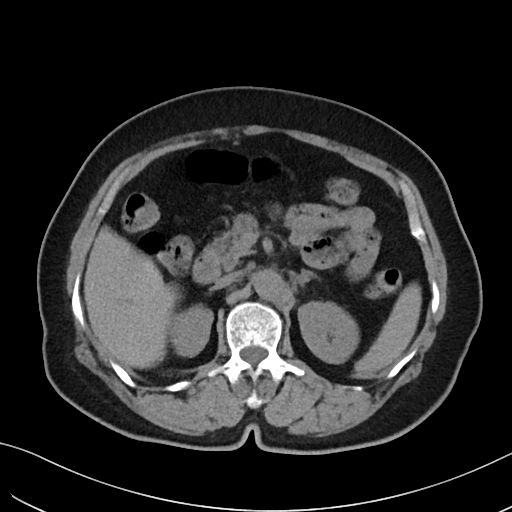
modality = multiphase abdominal CT, liver, non-contrast phase
patient = female, age 62